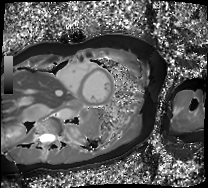
Cardiac MRI. Subject group: patient.